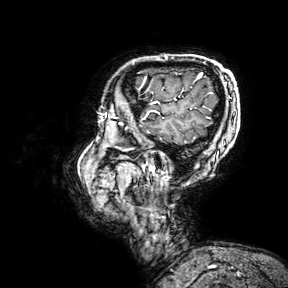
Summary: 3 Tesla brain MRI. Series: 3D T1-weighted turbo field echo with SENSE. Study: ring-enhancing brain masses.